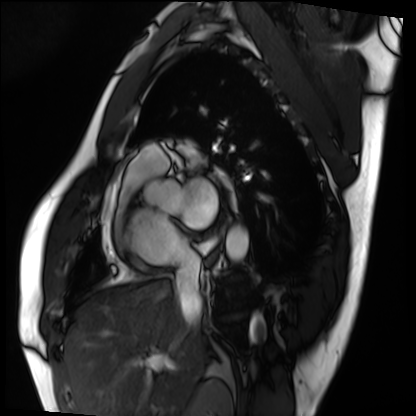
| field | value |
|---|---|
| modality | cardiac MRI |
| subject group | patient |